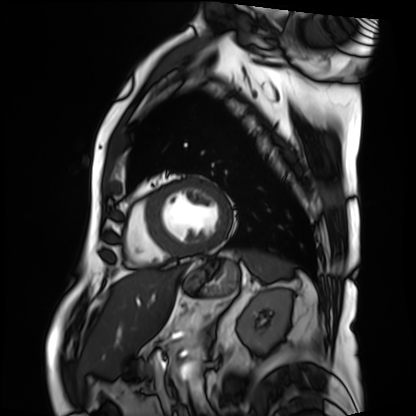
modality: cardiac MRI, subject group: patient.